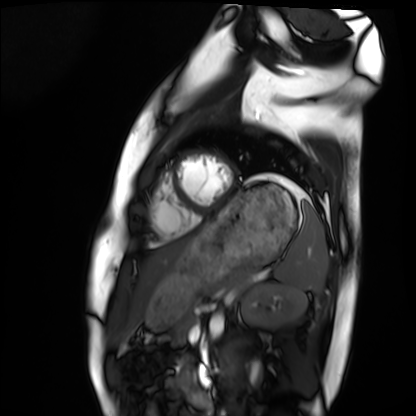
Q: What kind of scan is this?
A: Cardiac MRI.
Subject group: healthy volunteer.